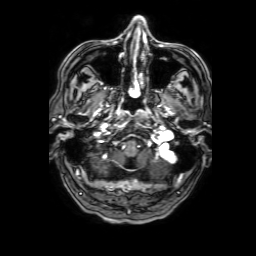
Clinical context:
3 Tesla brain MRI. Series: 3D T1-weighted with SENSE. Study: ring-enhancing brain masses.